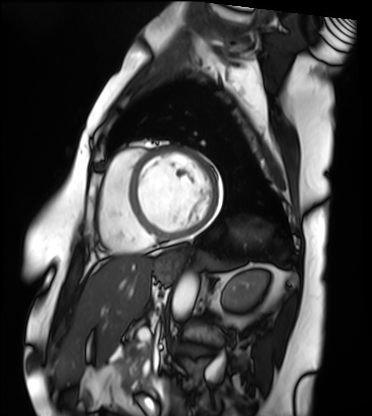
modality: cardiac MRI | subject group: patient.